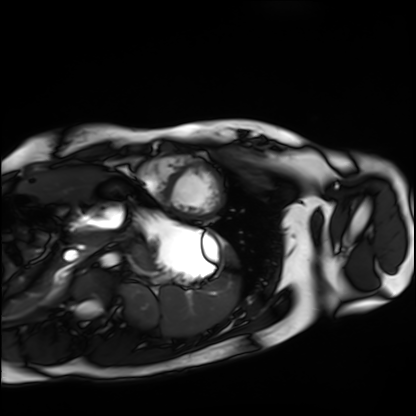
Q: What kind of scan is this?
A: Cardiac MRI.
Subject group: healthy volunteer.